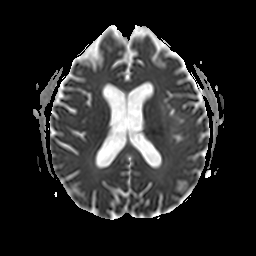
3 Tesla brain MRI. Series: apparent diffusion coefficient (ADC) map. Study: ring-enhancing brain masses.